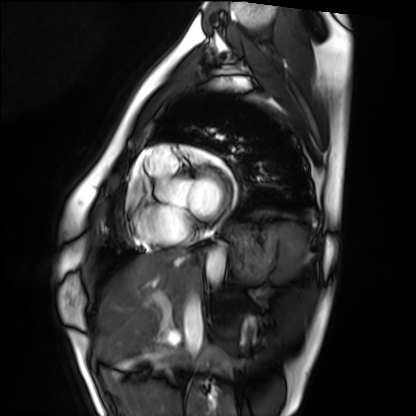
Cardiac MRI.
Subject group: healthy volunteer.